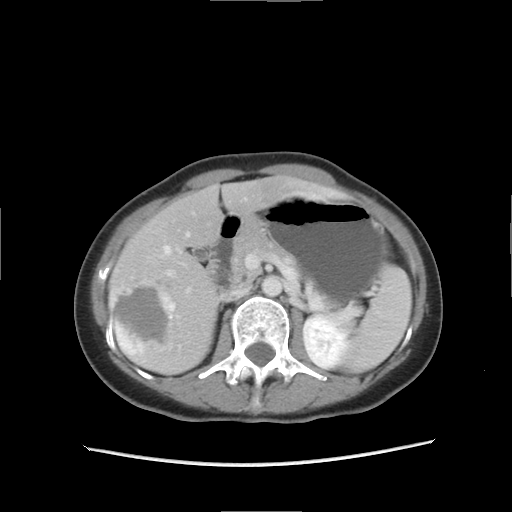
– modality — multiphase abdominal CT, liver, delayed phase
– patient — female, age 51